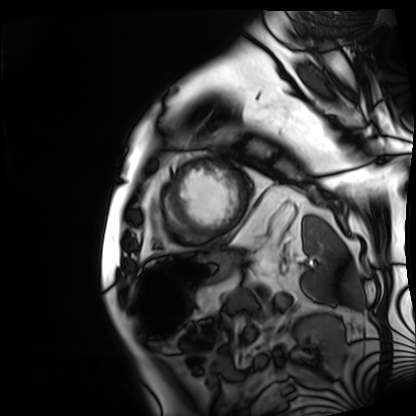
Cardiac MRI.
Subject group: patient.